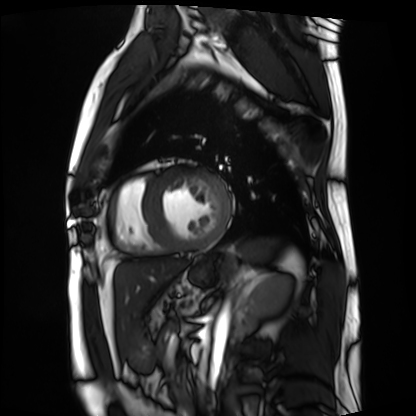
modality = cardiac MRI
subject group = patient